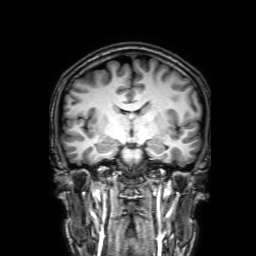
Clinical context:
3 Tesla brain MRI. Series: 3D T1-weighted with SENSE. Study: ring-enhancing brain masses.